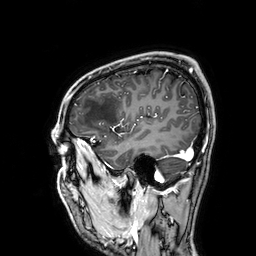
3 Tesla brain MRI.
Series: 3D T1-weighted.
Study: ring-enhancing brain masses.